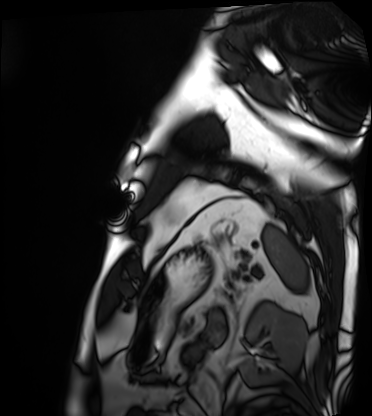
Q: What kind of scan is this?
A: Cardiac MRI.
Subject group: patient.